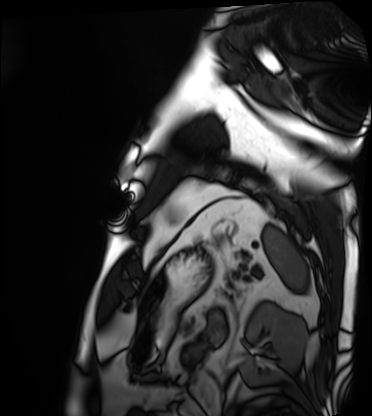
Clinical context:
Cardiac MRI. Subject group: patient.